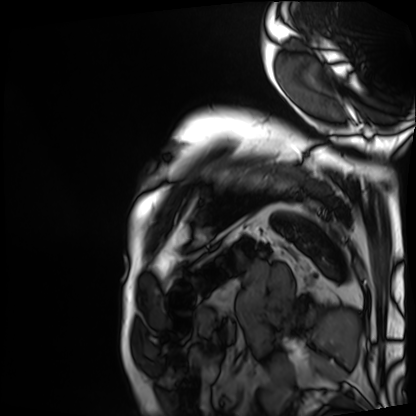
<scan>
<modality>cardiac MRI</modality>
<cohort>patient</cohort>
</scan>